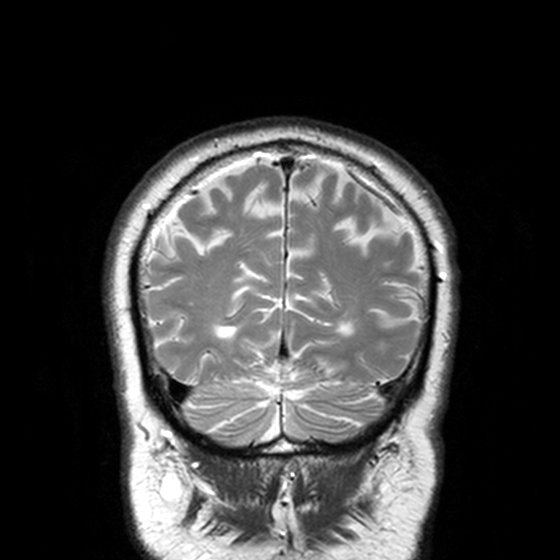
Case summary: 3 Tesla brain MRI. Series: T2-weighted turbo spin echo, 3 mm. Study: ring-enhancing brain masses.